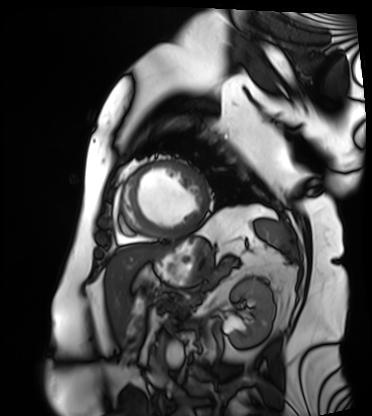
Cardiac MRI.
Subject group: patient.